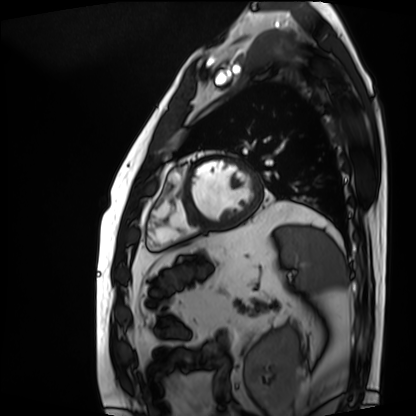
Cardiac MRI.
Subject group: patient.